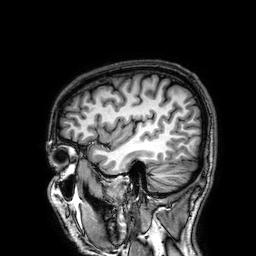
Summary: 3 Tesla brain MRI. Series: 3D T1-weighted. Study: ring-enhancing brain masses.